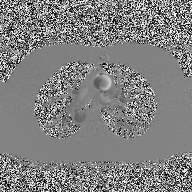
Case summary: 2D phase-contrast cine MRI of the ascending aorta, high-resolution GRAPPA acquisition.